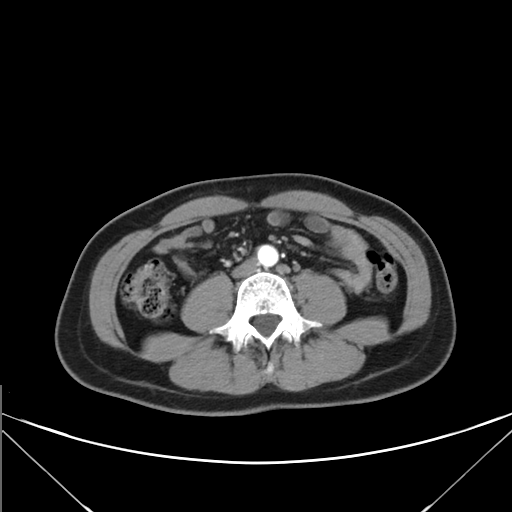
modality — multiphase abdominal CT, liver, arterial phase | patient — female, age 43.